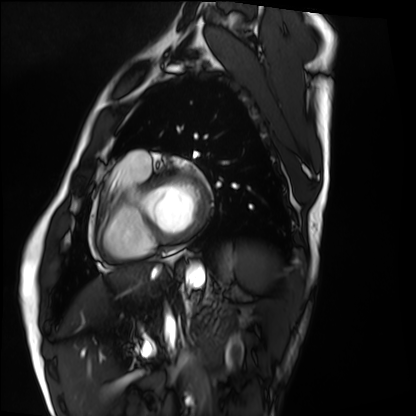
Cardiac MRI.
Subject group: healthy volunteer.